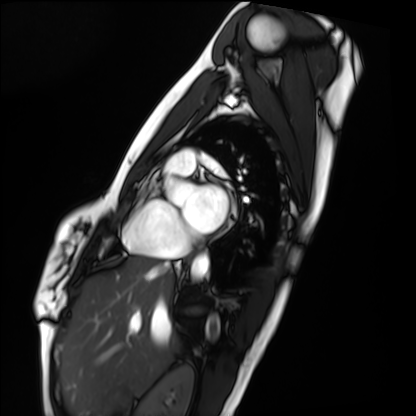
modality: cardiac MRI, subject group: healthy volunteer.